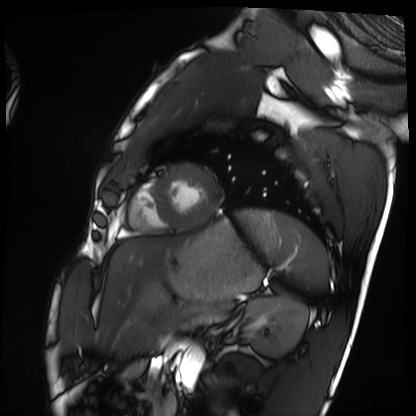
Cardiac MRI. Subject group: healthy volunteer.